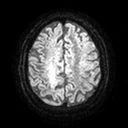
{"modality": {"type": "brain MRI", "field_strength": "3T"}, "series": "diffusion tensor imaging (medium iso)", "study_topic": "ring-enhancing brain masses"}